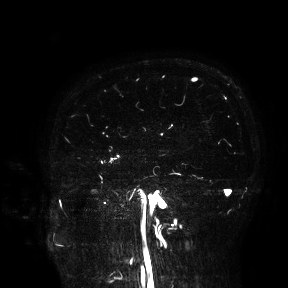
– modality · 3 Tesla brain MRI
– study · ring-enhancing brain masses